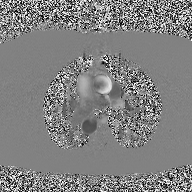
Q: What kind of scan is this?
A: 2D phase-contrast cine MRI of the ascending aorta.